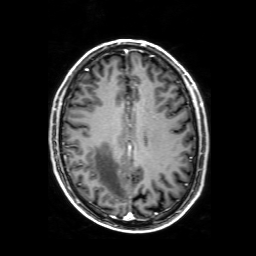
Clinical context:
3 Tesla brain MRI. Series: 3D T1-weighted with SENSE. Study: ring-enhancing brain masses.